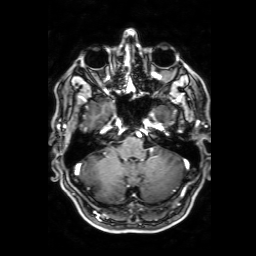
* modality — 3 Tesla brain MRI
* series — 3D T1-weighted with SENSE
* study — ring-enhancing brain masses